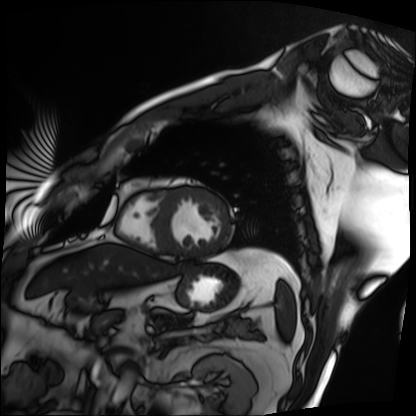
Case:
• modality: cardiac MRI
• subject group: patient